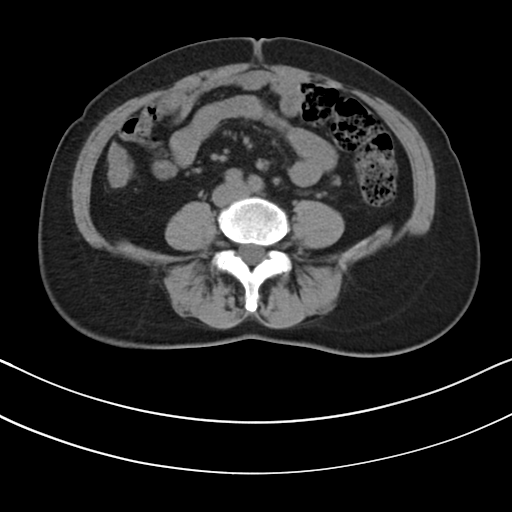
• modality · multiphase abdominal CT, liver, non-contrast phase
• patient · female, age 62